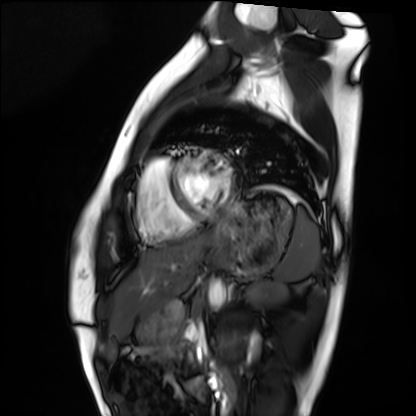
Cardiac MRI. Subject group: healthy volunteer.